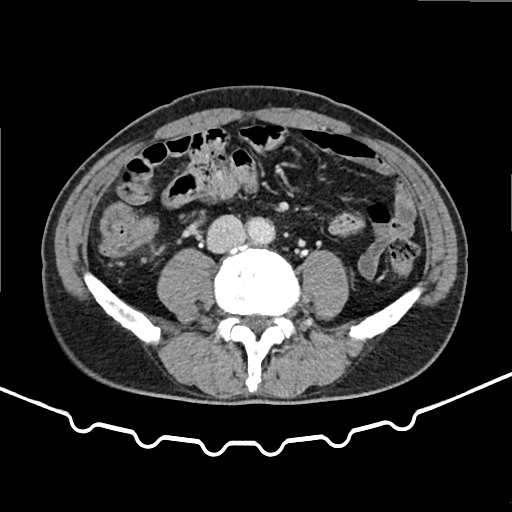
Case:
– modality — multiphase abdominal CT, liver, delayed phase
– patient — male, age 62